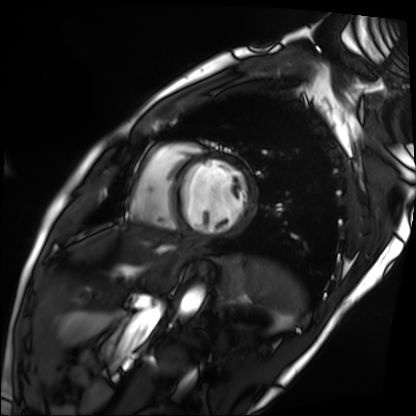
Summary: Cardiac MRI. Subject group: patient.